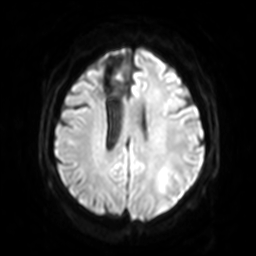
3 Tesla brain MRI. Series: diffusion-weighted imaging with SENSE (WIP). Study: ring-enhancing brain masses.